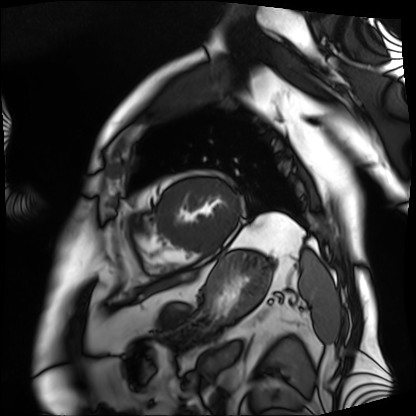
Cardiac MRI. Subject group: patient.